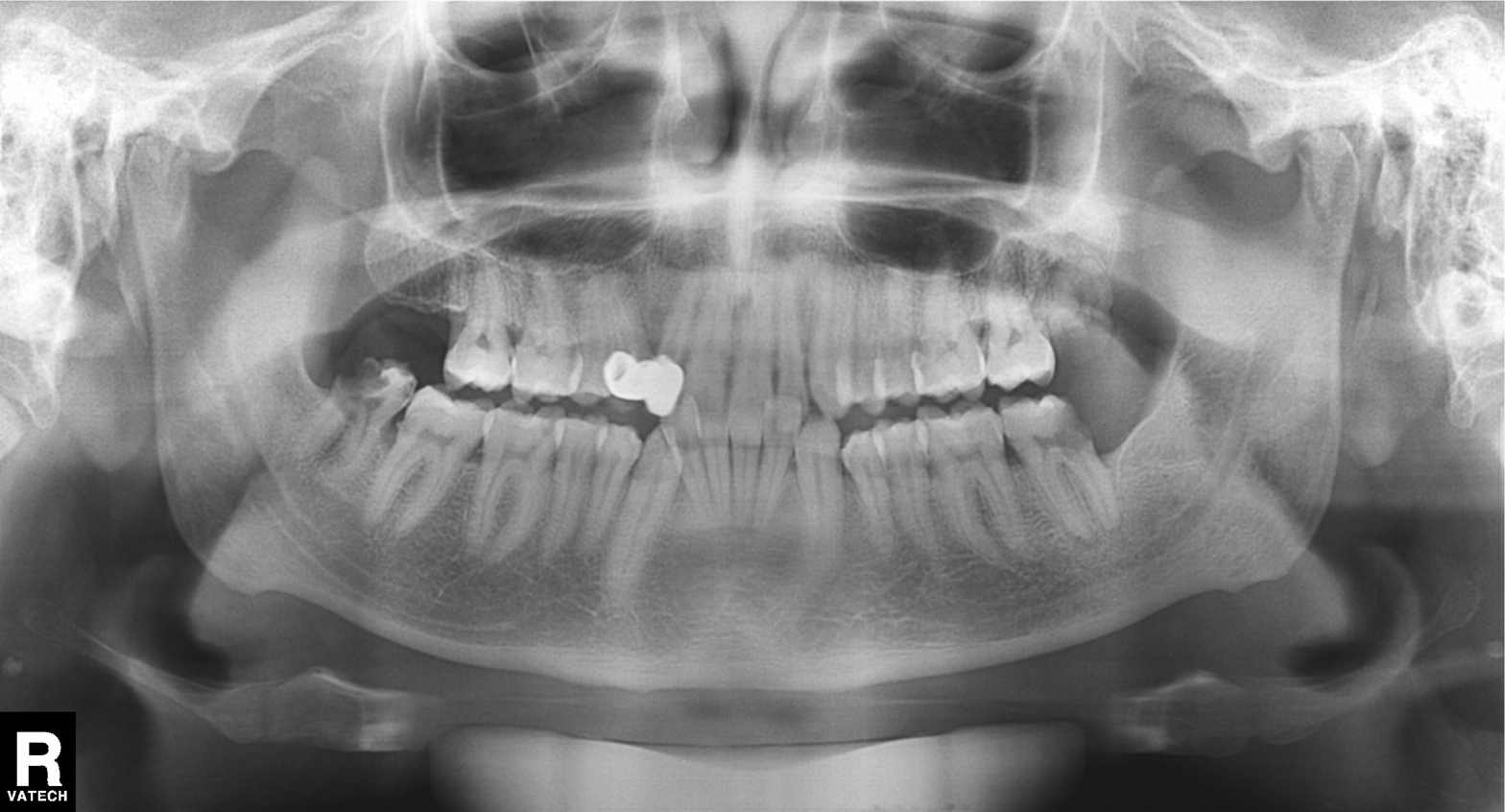
modality=panoramic dental radiograph (orthopantomogram) | finding=dental caries (cavities).